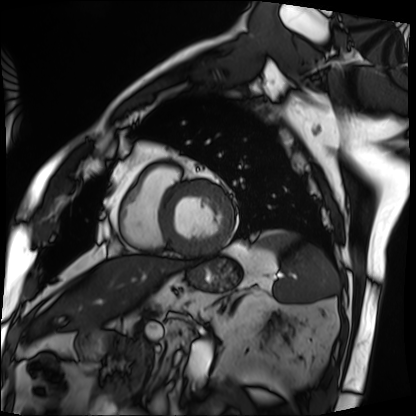
Case summary:
Cardiac MRI. Subject group: patient.